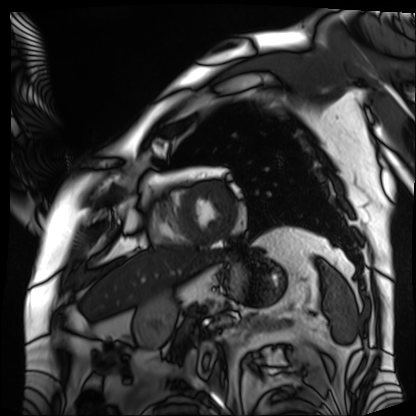
modality: cardiac MRI; subject group: patient.